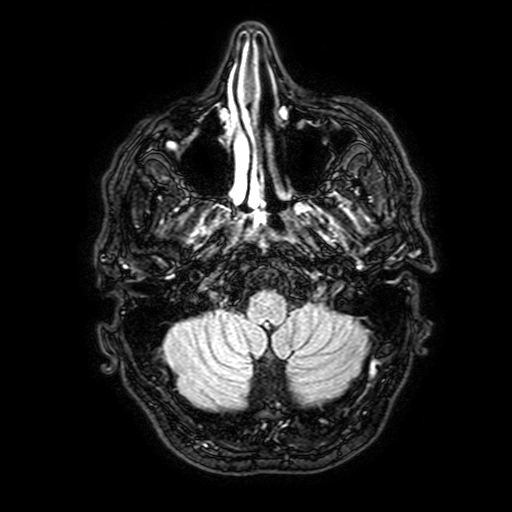
modality — 3 Tesla brain MRI
series — FLAIR with SPAIR, 3 mm
study — ring-enhancing brain masses